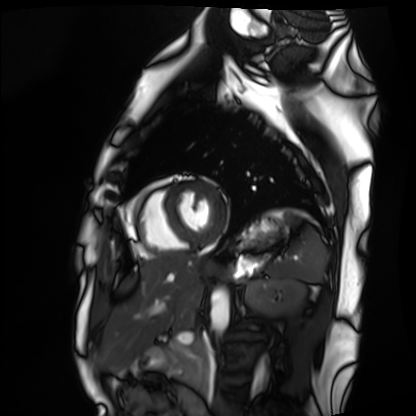
• modality — cardiac MRI
• subject group — healthy volunteer